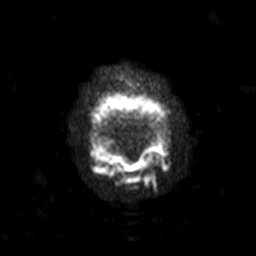
• modality · 3 Tesla brain MRI
• series · diffusion-weighted imaging with SENSE (WIP)
• study · ring-enhancing brain masses